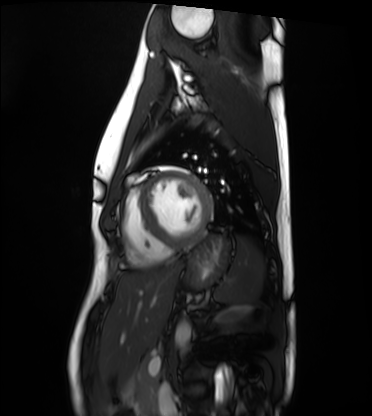
Summary: Cardiac MRI. Subject group: healthy volunteer.